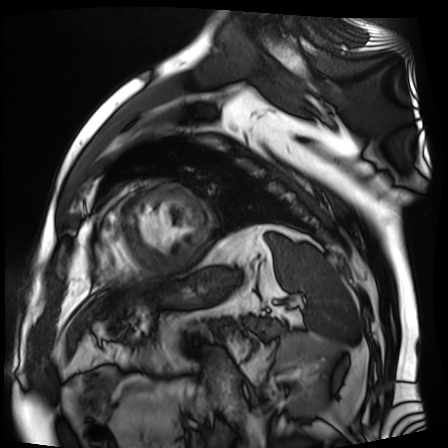
modality: cardiac MR image of the myocardium | subject cohort: cardiac patient.